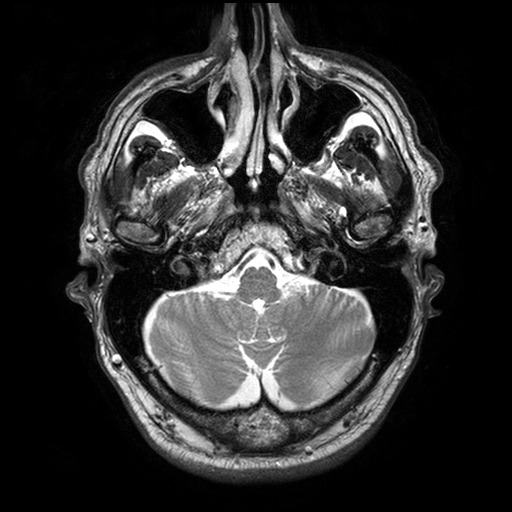
{
  "modality": {
    "type": "brain MRI",
    "field_strength": "3T"
  },
  "series": "T2-weighted turbo spin echo with SENSE",
  "study_topic": "ring-enhancing brain masses"
}